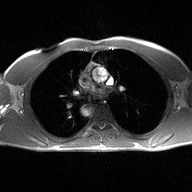
{"modality": {"type": "2D phase-contrast cine MRI", "region": "ascending aorta", "reconstruction": "high-resolution GRAPPA acquisition"}}